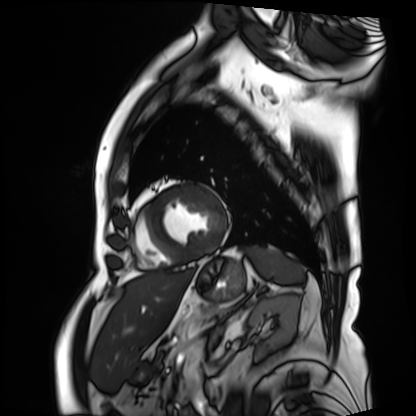
modality: cardiac MRI
subject group: patient